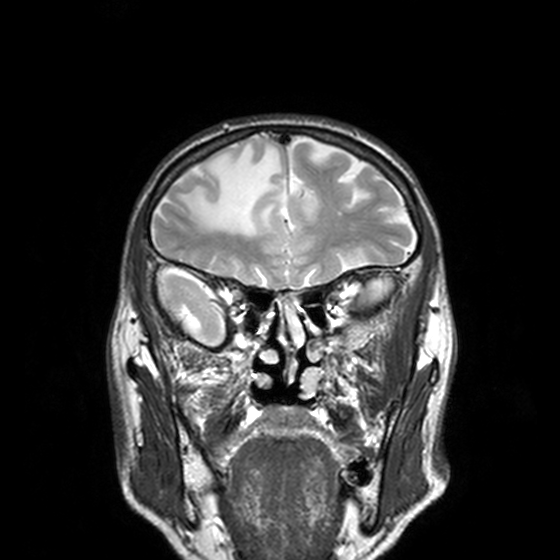
<scan>
  <modality>
    <type>brain MRI</type>
    <field_strength>3T</field_strength>
  </modality>
  <series>T2-weighted turbo spin echo, 3 mm</series>
  <study_topic>ring-enhancing brain masses</study_topic>
</scan>